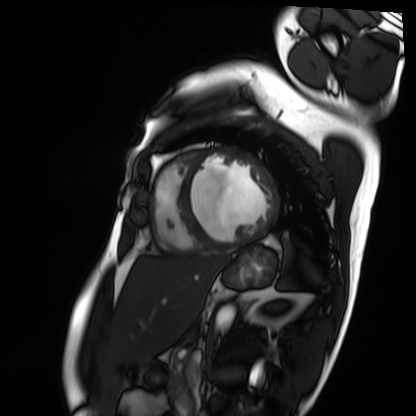
Cardiac MRI.
Subject group: patient.